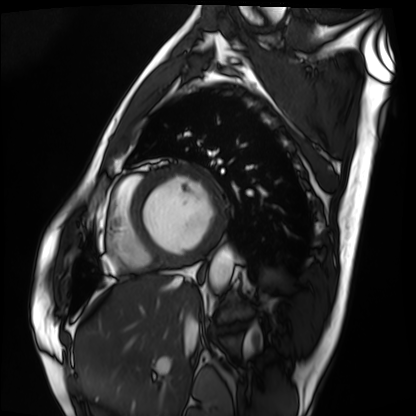
{
  "modality": "cardiac MRI",
  "cohort": "patient"
}